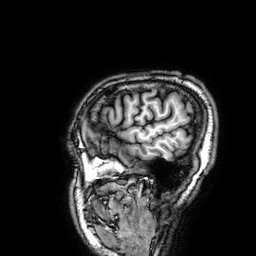
| field | value |
|---|---|
| modality | 3 Tesla brain MRI |
| series | 3D T1-weighted |
| study | ring-enhancing brain masses |